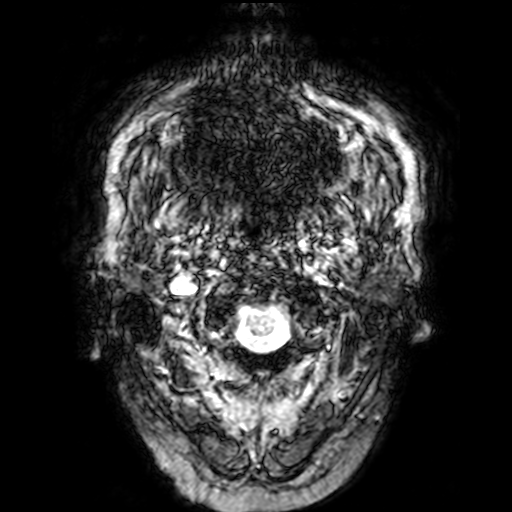
modality: 3 Tesla brain MRI
series: T2-weighted fast field echo
study: ring-enhancing brain masses